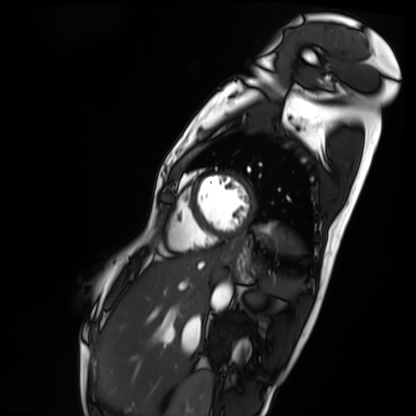
modality = cardiac MRI
subject group = patient